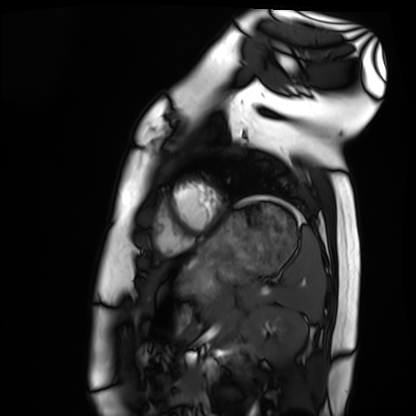
modality = cardiac MRI, subject group = healthy volunteer.